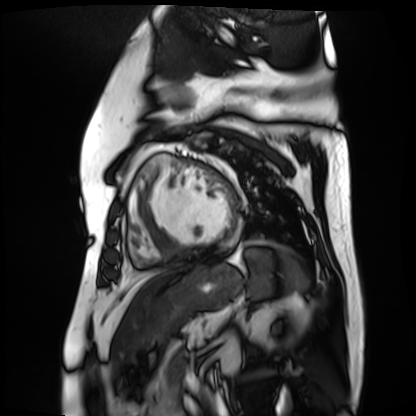
{
  "modality": "cardiac MR image of the myocardium",
  "cohort": "cardiac patient"
}